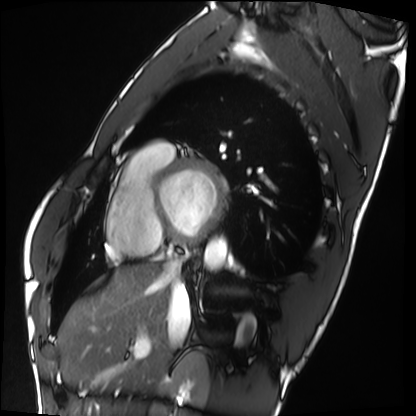
modality = cardiac MRI
subject group = healthy volunteer